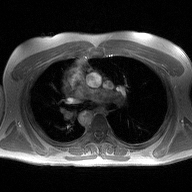
Clinical context:
2D phase-contrast cine MRI of the ascending aorta, high-resolution GRAPPA acquisition.